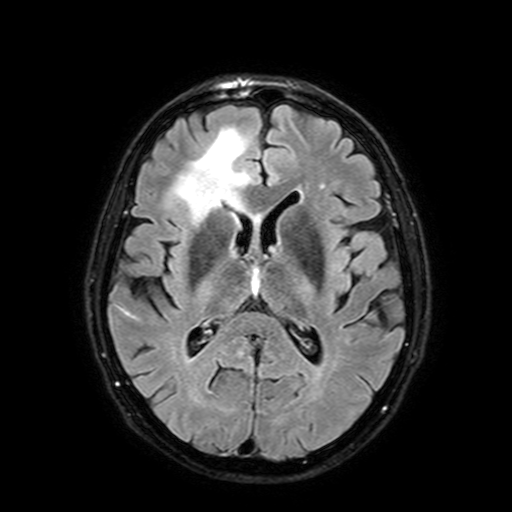
3 Tesla brain MRI.
Study: ring-enhancing brain masses.